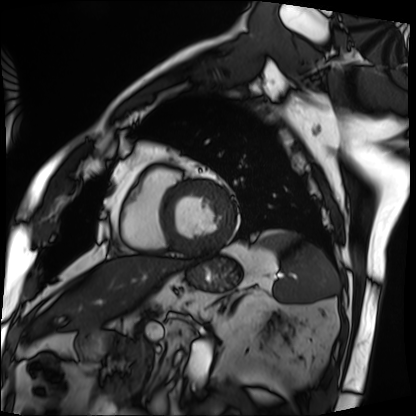
Cardiac MRI. Subject group: patient.